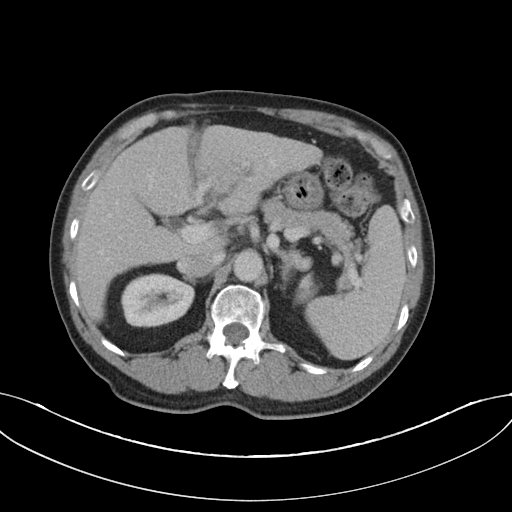
Case summary: Multiphase abdominal CT, liver, portal venous phase. Patient: male, age 75.